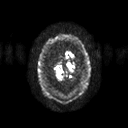
<record>
  <modality>
    <type>brain MRI</type>
    <field_strength>3T</field_strength>
  </modality>
  <series>diffusion tensor imaging (medium iso)</series>
  <study_topic>ring-enhancing brain masses</study_topic>
</record>